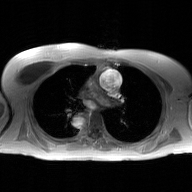
2D phase-contrast cine MRI of the ascending aorta, GAN super-resolution reconstruction.